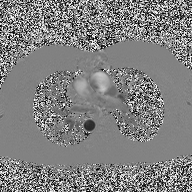
2D phase-contrast cine MRI of the ascending aorta, high-resolution GRAPPA acquisition.